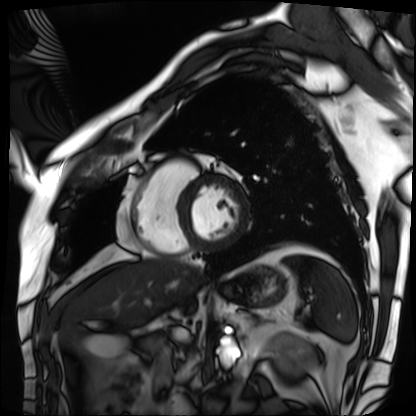
Case summary: Cardiac MRI. Subject group: patient.